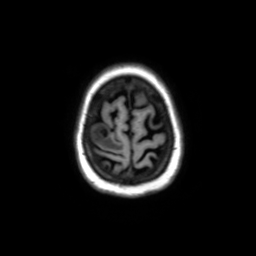
3 Tesla brain MRI.
Series: axial without contrast.
Study: ring-enhancing brain masses.